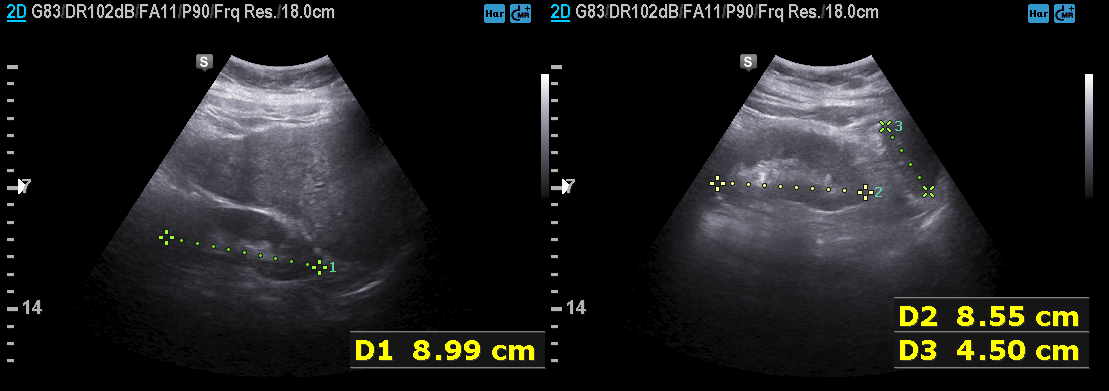
Case summary:
Genitourinary ultrasound.